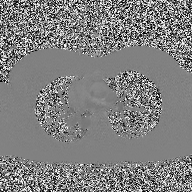
2D phase-contrast cine MRI of the ascending aorta, high-resolution GRAPPA acquisition.